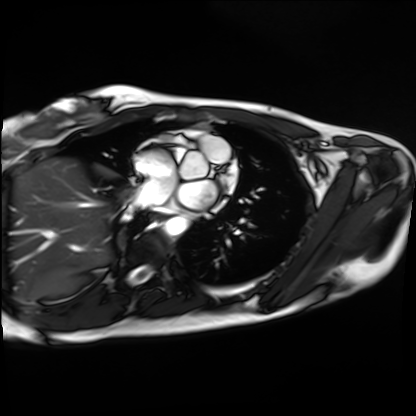
Cardiac MRI. Subject group: healthy volunteer.